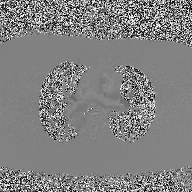
modality — 2D phase-contrast cine MRI of the ascending aorta.